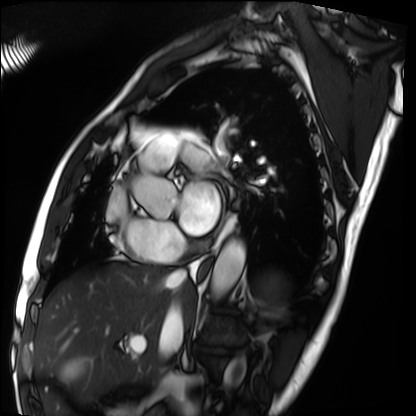
modality: cardiac MRI; subject group: patient.